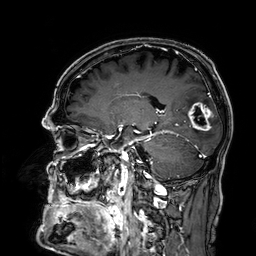
| field | value |
|---|---|
| modality | 3 Tesla brain MRI |
| series | 3D T1-weighted |
| study | ring-enhancing brain masses |